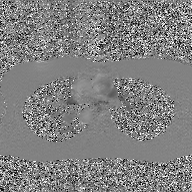
2D phase-contrast cine MRI of the ascending aorta, GAN super-resolution reconstruction.